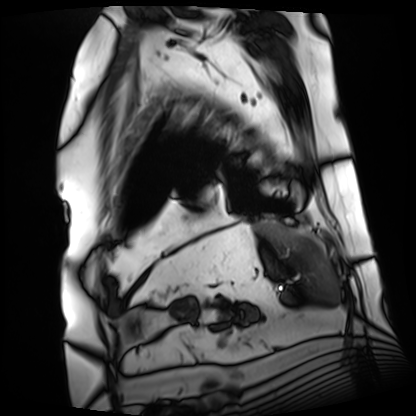
* modality · cardiac MRI
* subject group · patient